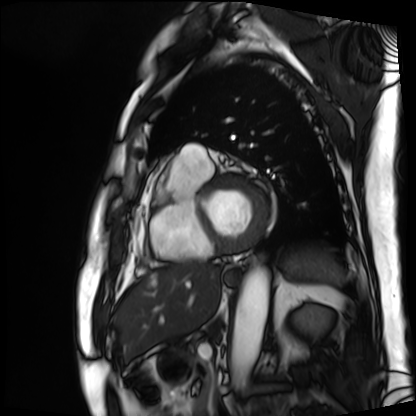
  modality: cardiac MRI
  cohort: patient